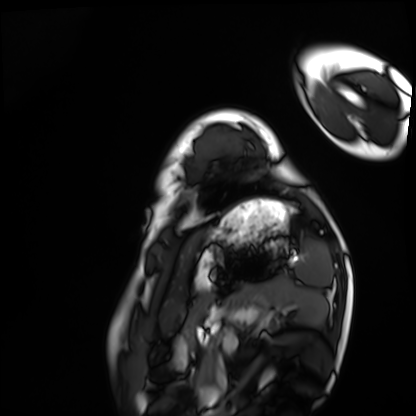
- modality · cardiac MRI
- subject group · healthy volunteer